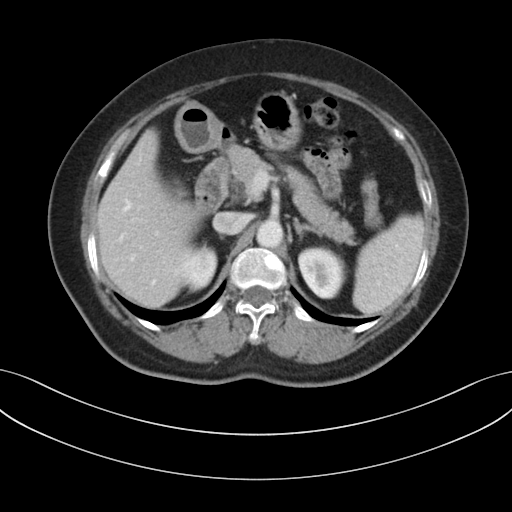
Multiphase abdominal CT, liver, portal venous phase. Patient: female, age 58. History: prior chemotherapy.